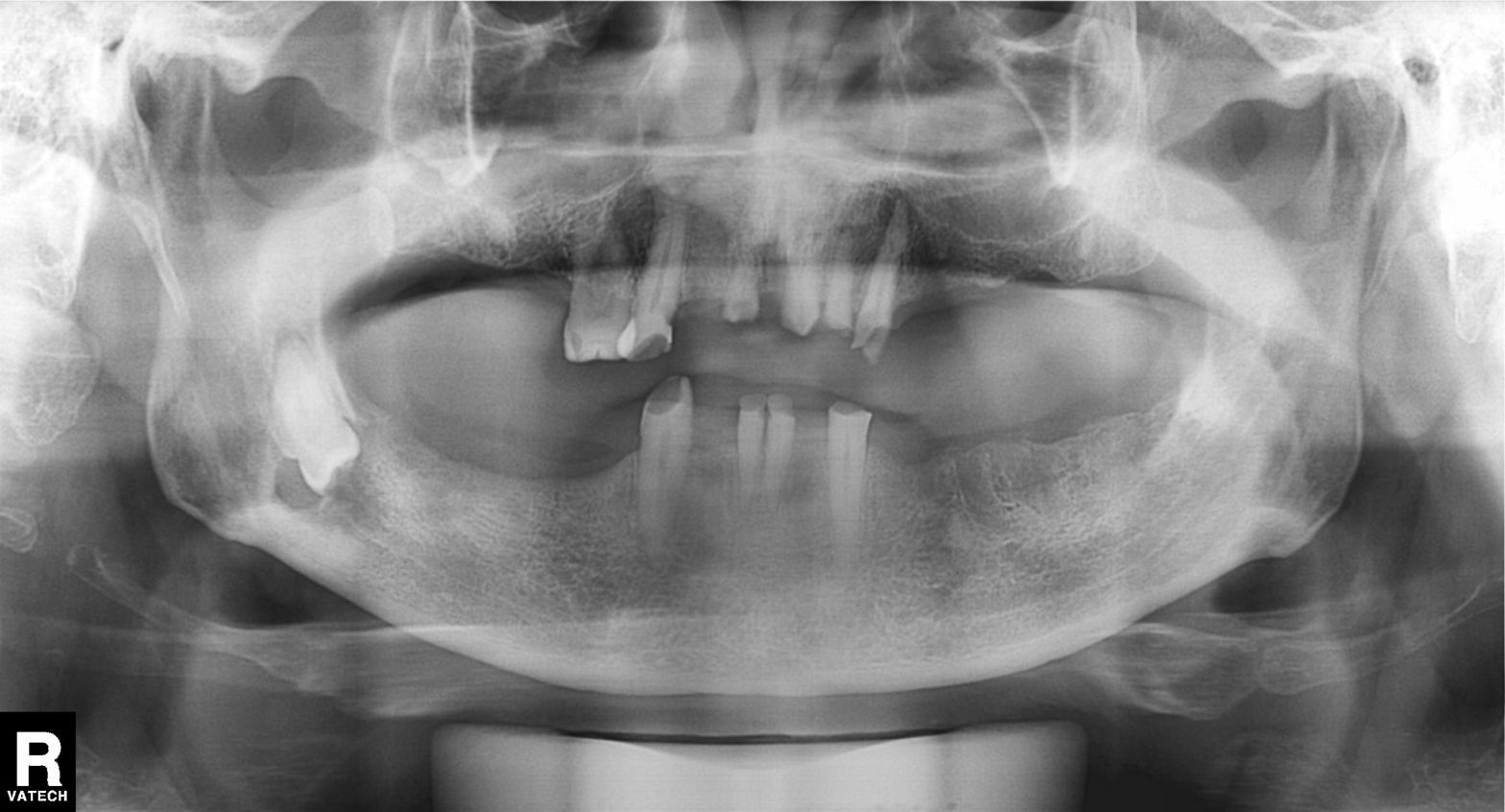
modality: panoramic dental radiograph (orthopantomogram); finding: alveolar bone loss.